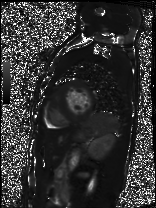
Summary:
Cardiac MRI. Subject group: patient.